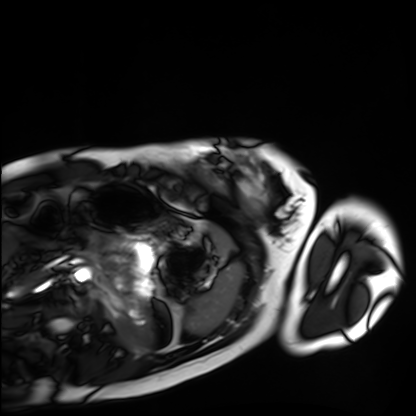
Cardiac MRI. Subject group: healthy volunteer.